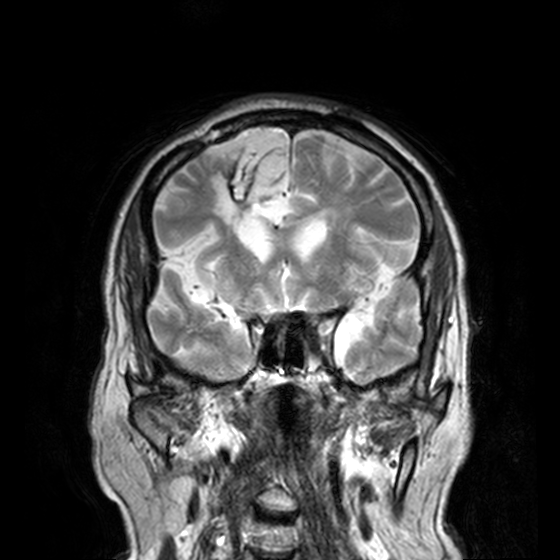
modality:
  type: brain MRI
  field_strength: 3T
series: T2-weighted turbo spin echo, 3 mm
study_topic: ring-enhancing brain masses